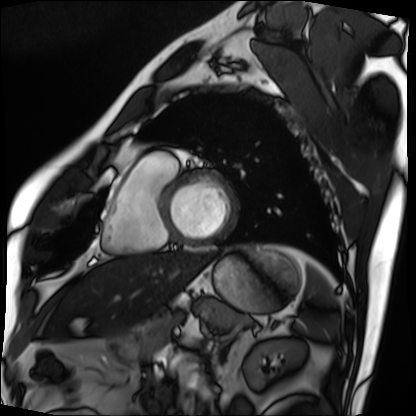
Q: What kind of scan is this?
A: Cardiac MRI.
Subject group: patient.